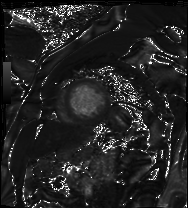
Cardiac MRI.
Subject group: patient.